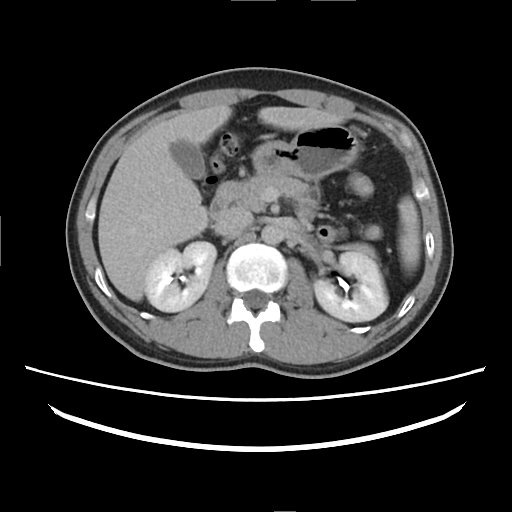
* modality — multiphase abdominal CT, liver, delayed phase
* patient — female, age 37